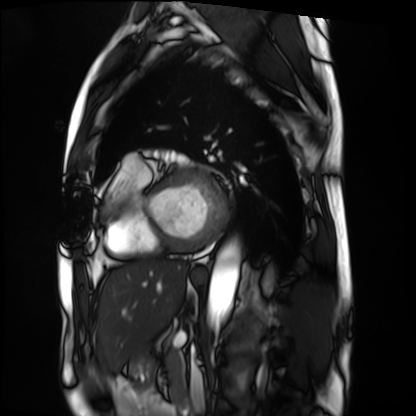
| field | value |
|---|---|
| modality | cardiac MRI |
| subject group | patient |